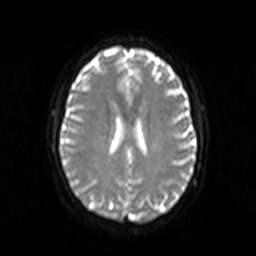
modality=3 Tesla brain MRI; series=diffusion-weighted imaging; study=ring-enhancing brain masses.